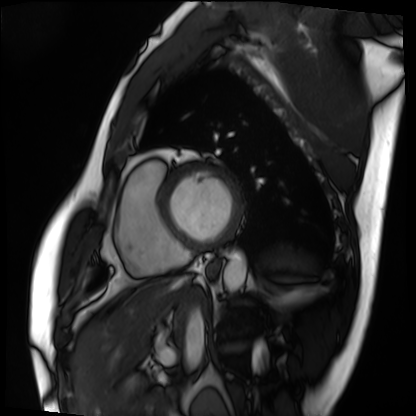
Cardiac MRI.
Subject group: patient.